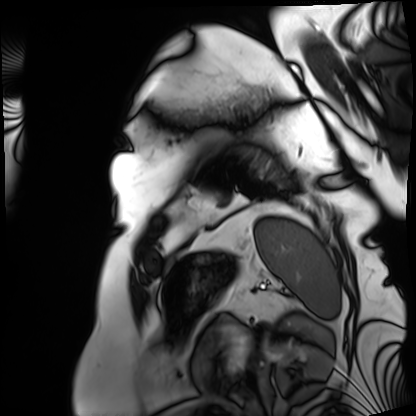
Cardiac MRI.
Subject group: patient.